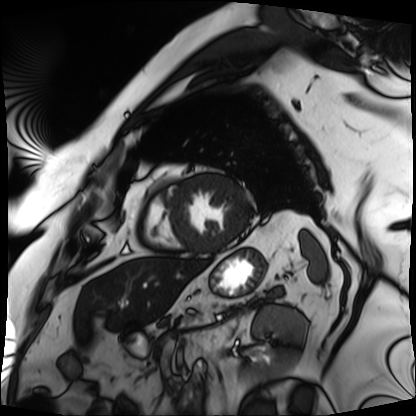
modality: cardiac MRI; subject group: patient.